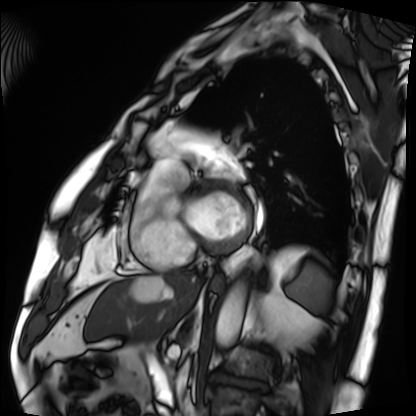
{
  "modality": "cardiac MRI",
  "cohort": "patient"
}